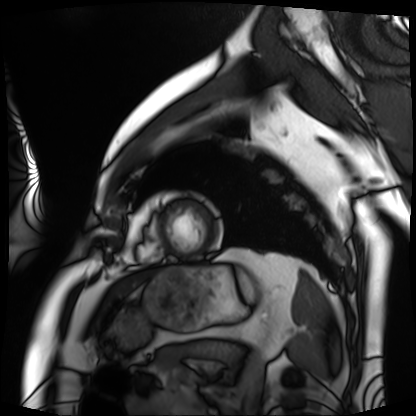
Cardiac MRI.
Subject group: patient.